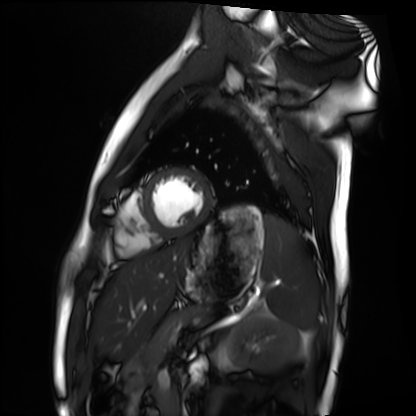
Cardiac MRI. Subject group: healthy volunteer.